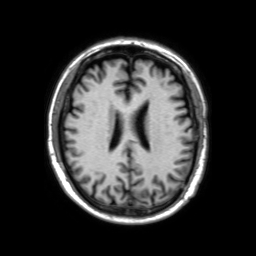
3 Tesla brain MRI.
Series: 3D T1-weighted TFE with SENSE.
Study: ring-enhancing brain masses.